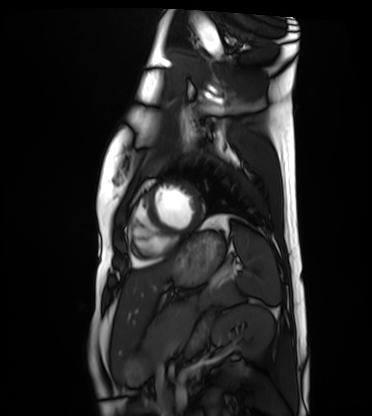
Cardiac MRI.
Subject group: healthy volunteer.